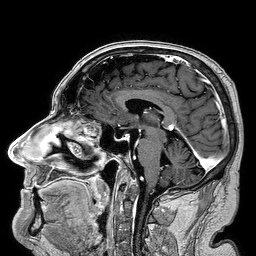
Clinical context:
3 Tesla brain MRI. Series: 3D T1-weighted turbo field echo. Study: ring-enhancing brain masses.